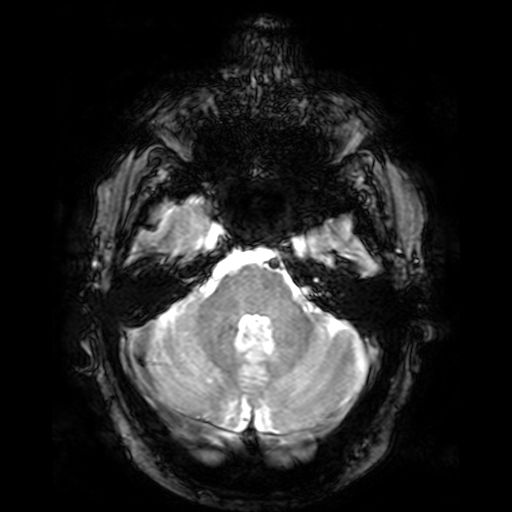
Clinical context:
3 Tesla brain MRI. Series: T2-weighted fast field echo. Study: ring-enhancing brain masses.